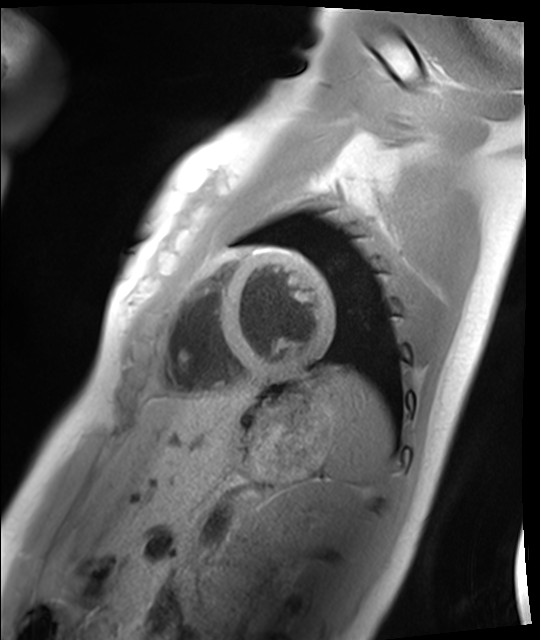
modality — cardiac MRI | subject group — healthy volunteer.